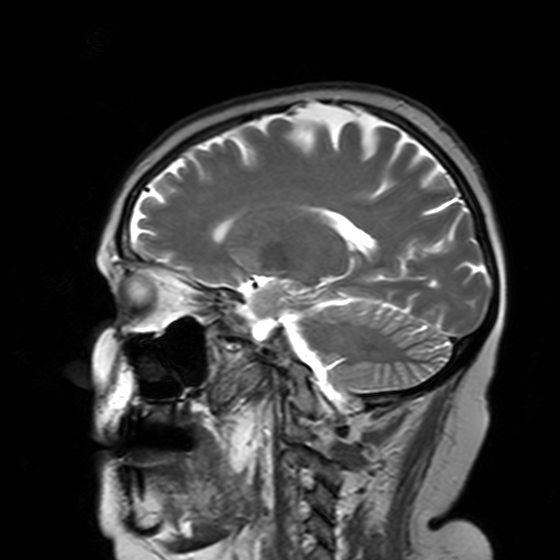
{"modality": {"type": "brain MRI", "field_strength": "3T"}, "series": "T2-weighted turbo spin echo with SENSE", "study_topic": "ring-enhancing brain masses"}